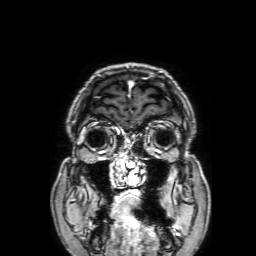
modality:
  type: brain MRI
  field_strength: 3T
series: 3D T1-weighted with SENSE
study_topic: ring-enhancing brain masses